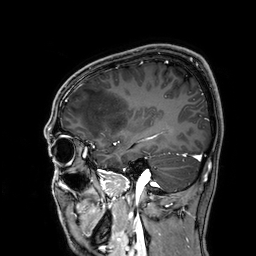
modality: 3 Tesla brain MRI
series: 3D T1-weighted
study: ring-enhancing brain masses